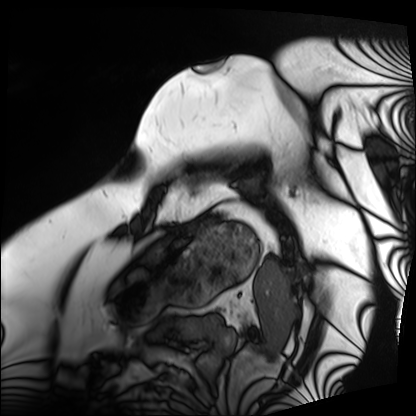
Cardiac MRI.
Subject group: patient.